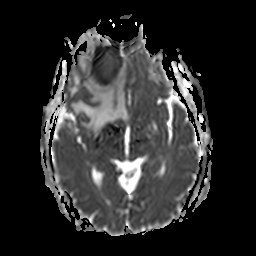
3 Tesla brain MRI.
Series: apparent diffusion coefficient (ADC) map.
Study: ring-enhancing brain masses.